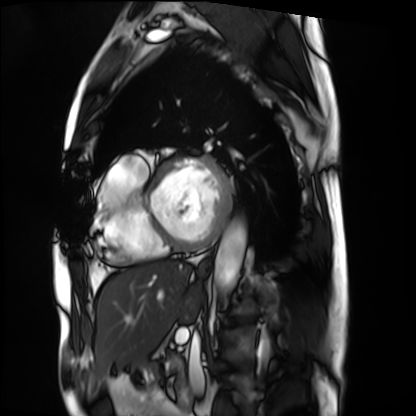
Case:
– modality · cardiac MRI
– subject group · patient